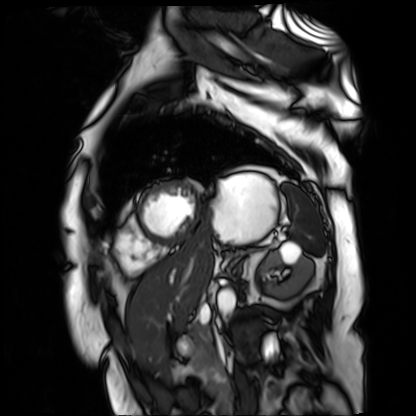
modality: cardiac MR image of the myocardium | subject cohort: cardiac patient.